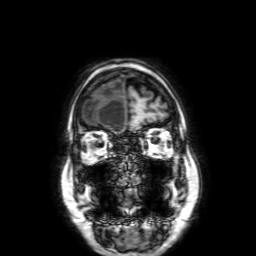
3 Tesla brain MRI. Series: 3D T1-weighted with SENSE. Study: ring-enhancing brain masses.